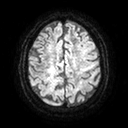
Case summary: 3 Tesla brain MRI. Series: diffusion tensor imaging (medium iso). Study: ring-enhancing brain masses.